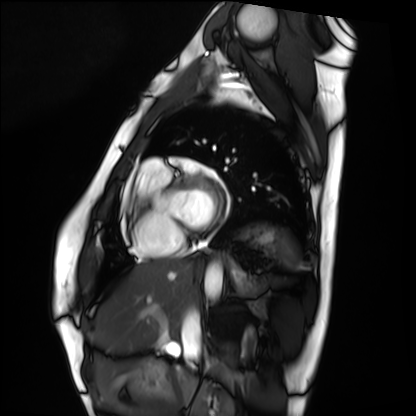
Case:
• modality · cardiac MRI
• subject group · healthy volunteer